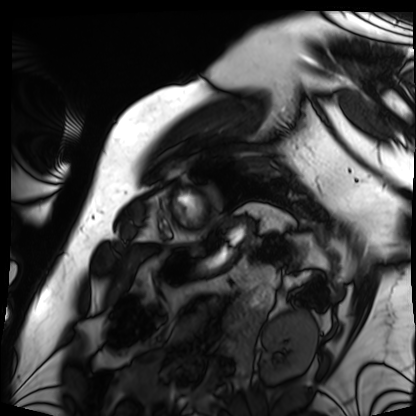
Clinical context:
Cardiac MRI. Subject group: patient.